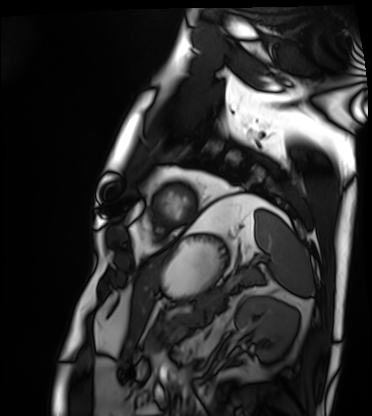
Case summary:
Cardiac MRI. Subject group: patient.